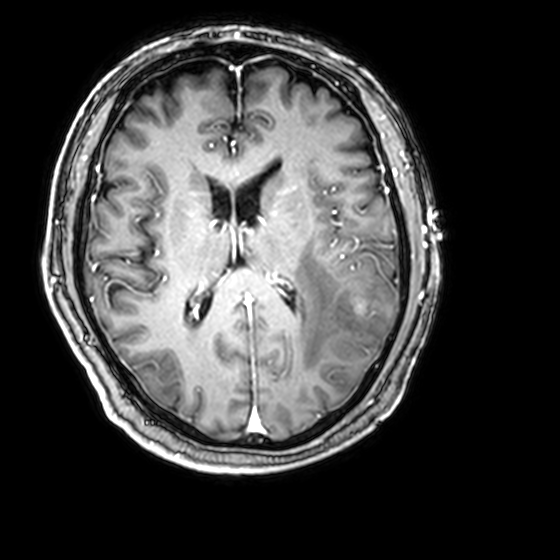
3 Tesla brain MRI.
Series: 3D T1-weighted with CLEAR.
Study: ring-enhancing brain masses.